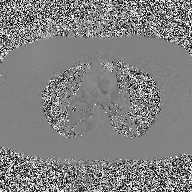
Clinical context:
2D phase-contrast cine MRI of the ascending aorta, high-resolution GRAPPA acquisition.